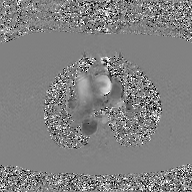
Case summary:
2D phase-contrast cine MRI of the ascending aorta, GAN super-resolution reconstruction.